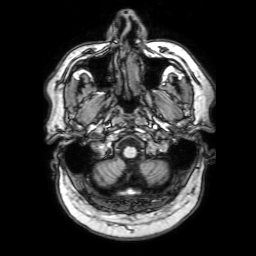
3 Tesla brain MRI. Series: 3D T1-weighted with SENSE. Study: ring-enhancing brain masses.